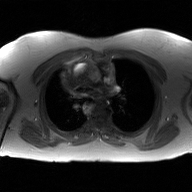
{
  "modality": {
    "type": "2D phase-contrast cine MRI",
    "region": "ascending aorta",
    "reconstruction": "GAN super-resolution reconstruction"
  }
}